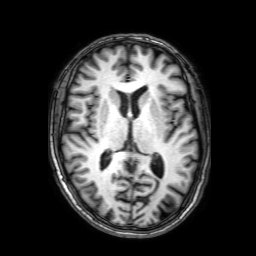
Clinical context:
3 Tesla brain MRI. Series: 3D T1-weighted with SENSE. Study: ring-enhancing brain masses.